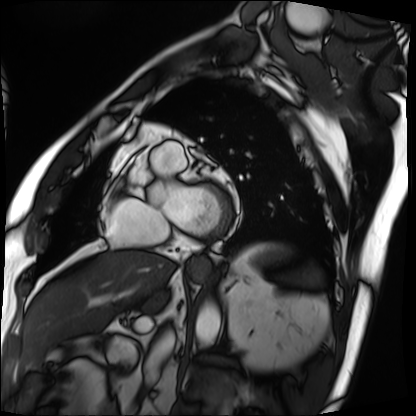
Summary: Cardiac MRI. Subject group: patient.